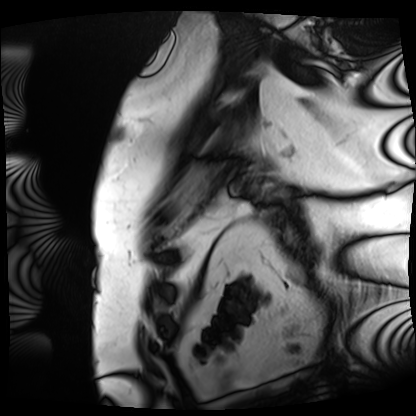
Summary:
Cardiac MRI. Subject group: patient.